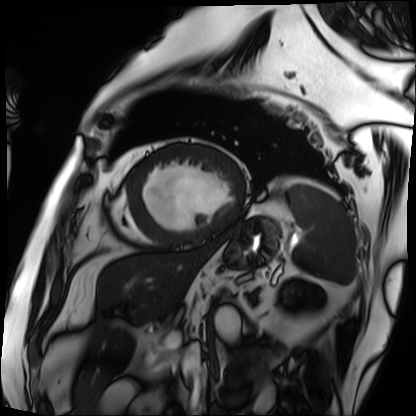
Cardiac MRI. Subject group: patient.